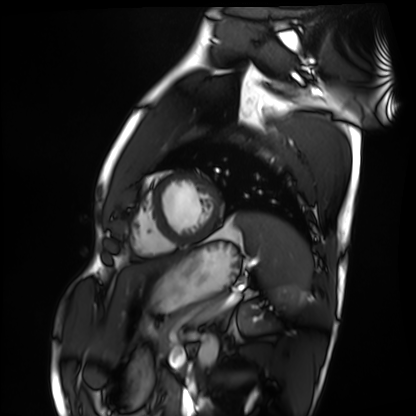
<study>
  <modality>cardiac MRI</modality>
  <cohort>healthy volunteer</cohort>
</study>